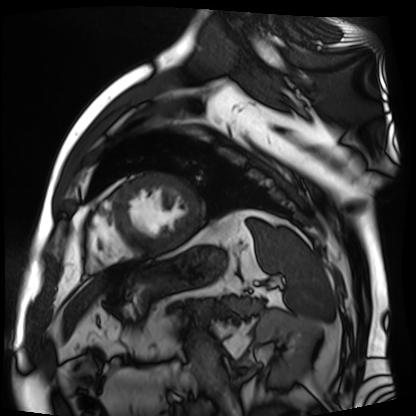
Cardiac MR image of the myocardium. Subject cohort: cardiac patient.